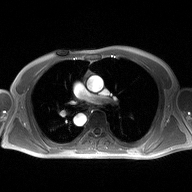
2D phase-contrast cine MRI of the ascending aorta, high-resolution GRAPPA acquisition.